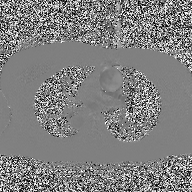
modality: 2D phase-contrast cine MRI of the ascending aorta.